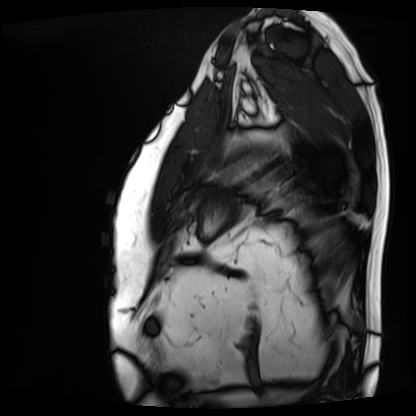
modality: cardiac MRI; subject group: patient.